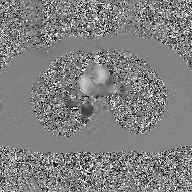
Q: What kind of scan is this?
A: 2D phase-contrast cine MRI of the ascending aorta, GAN super-resolution reconstruction.